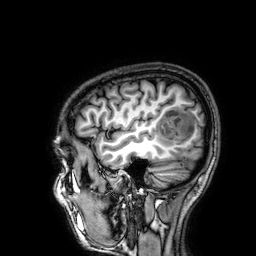
modality: 3 Tesla brain MRI | series: 3D T1-weighted | study: ring-enhancing brain masses.